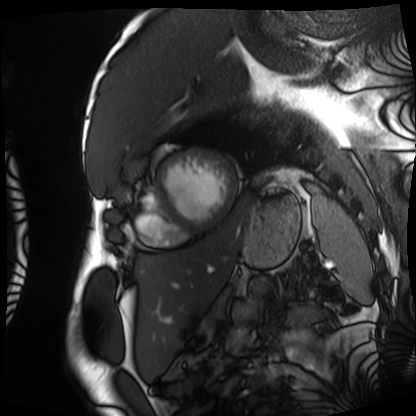
- modality: cardiac MRI
- subject group: patient